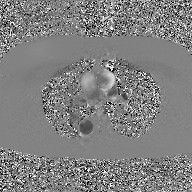
modality = 2D phase-contrast cine MRI of the ascending aorta, GAN super-resolution reconstruction.